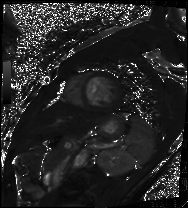
Cardiac MRI.
Subject group: patient.